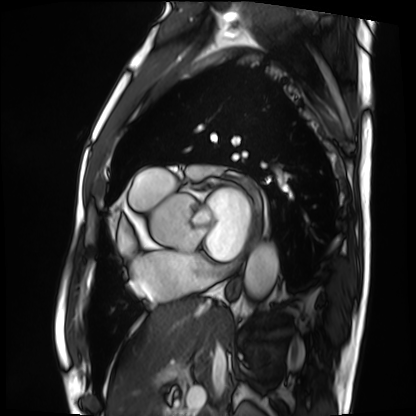
Clinical context: Cardiac MRI. Subject group: patient.